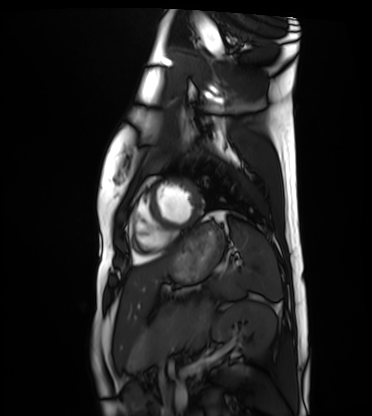
  modality: cardiac MRI
  cohort: healthy volunteer